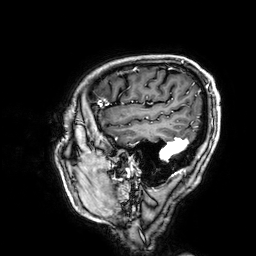
Case:
* modality — 3 Tesla brain MRI
* series — 3D T1-weighted
* study — ring-enhancing brain masses